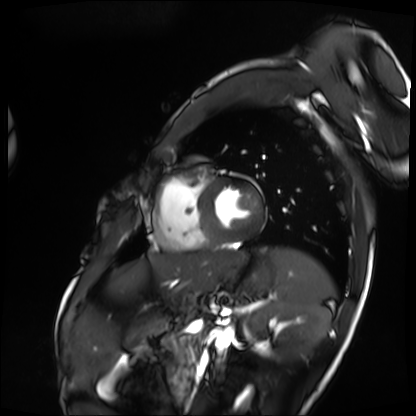
Cardiac MRI. Subject group: patient.